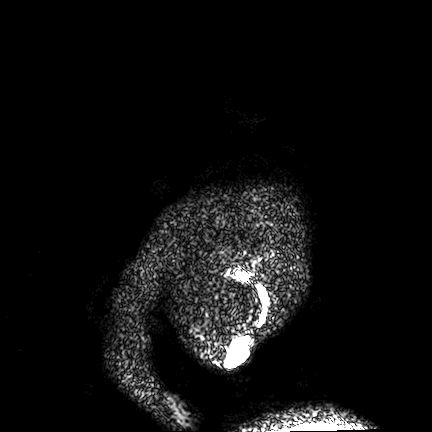
3 Tesla brain MRI.
Series: FLAIR VISTA.
Study: ring-enhancing brain masses.